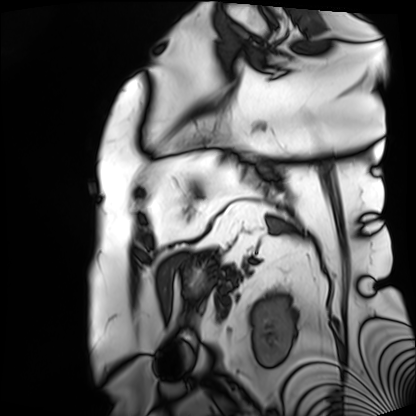
Summary: Cardiac MRI. Subject group: patient.